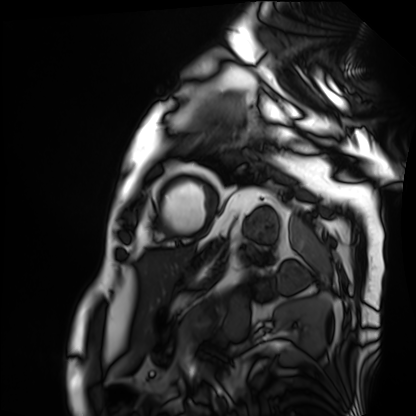
Clinical context:
Cardiac MRI. Subject group: patient.